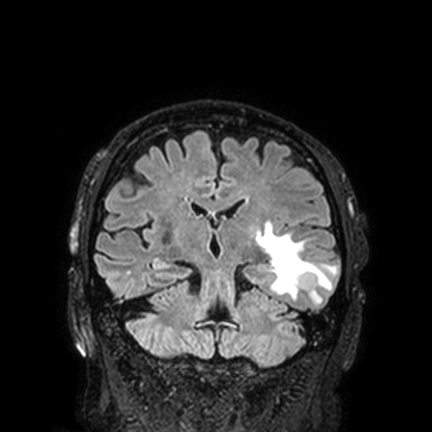
Q: What kind of scan is this?
A: 3 Tesla brain MRI.
Q: Series?
A: FLAIR VISTA with SENSE.
Study: ring-enhancing brain masses.